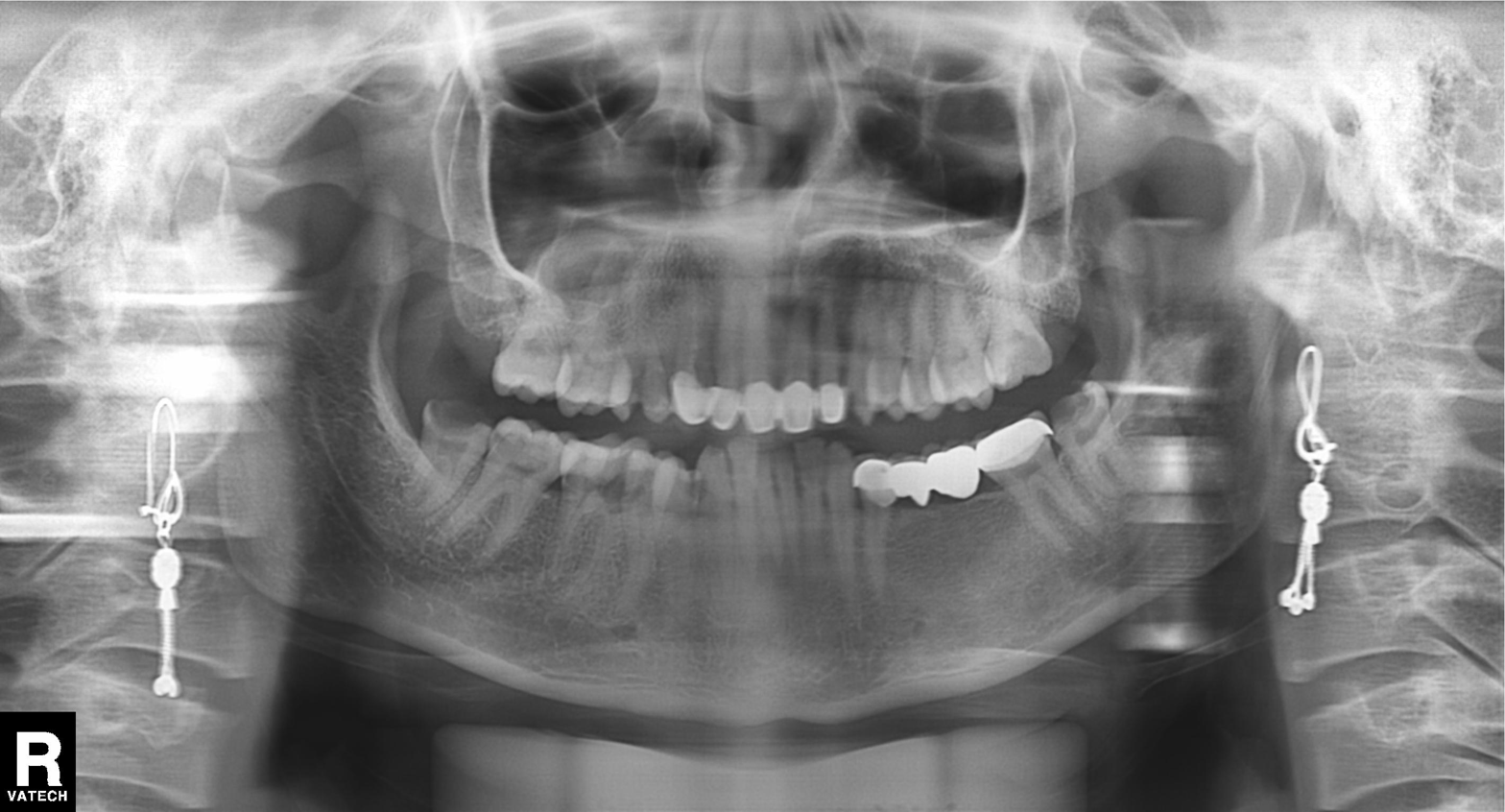
modality=panoramic dental radiograph (orthopantomogram)
finding=dental caries (cavities)